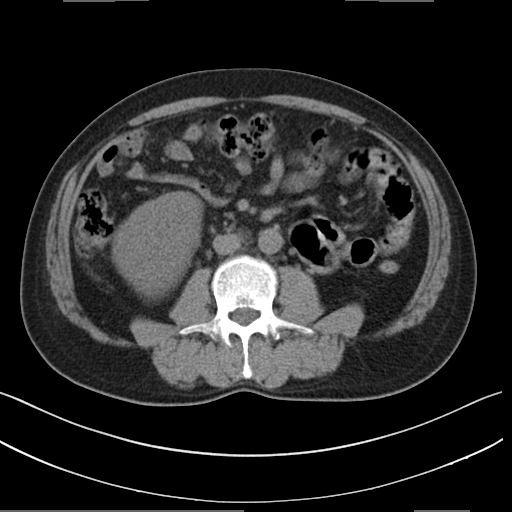
Clinical context:
Multiphase abdominal CT, liver, non-contrast phase. Patient: male, age 53. History: cirrhosis, viral hepatitis.